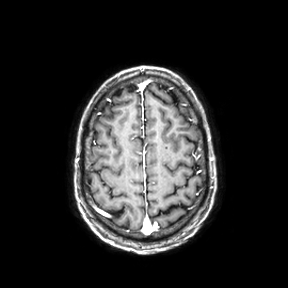
3 Tesla brain MRI. Study: ring-enhancing brain masses.